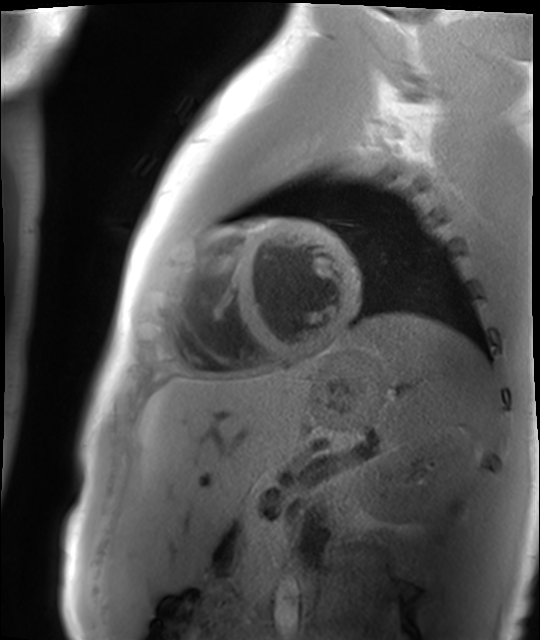
modality = cardiac MR image of the myocardium, subject cohort = healthy volunteer.